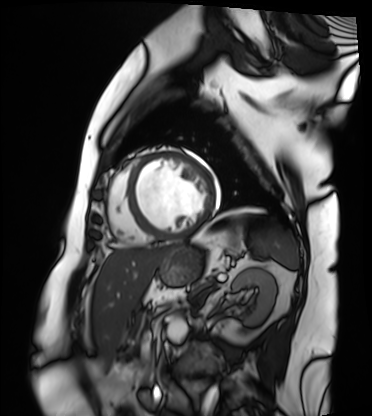
modality: cardiac MRI | subject group: patient.